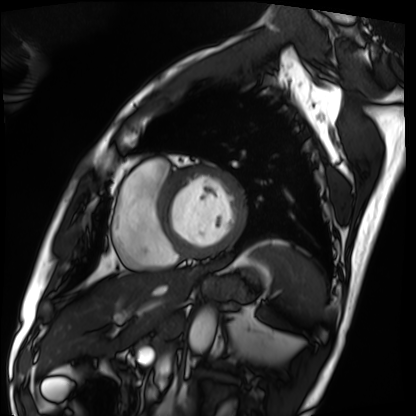
Cardiac MRI.
Subject group: patient.